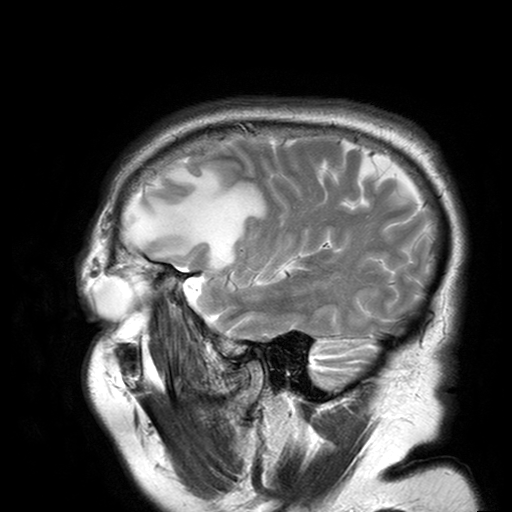
Summary: 3 Tesla brain MRI. Series: T2-weighted turbo spin echo with SENSE. Study: ring-enhancing brain masses.